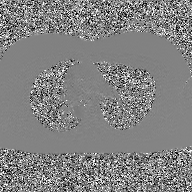
• modality: 2D phase-contrast cine MRI of the ascending aorta, GAN super-resolution reconstruction